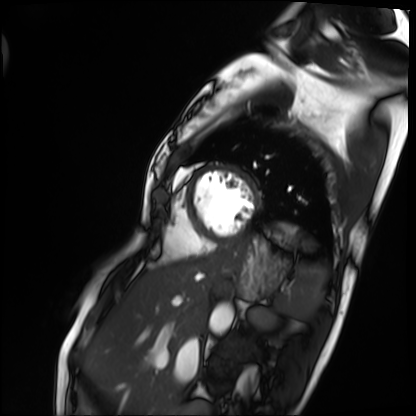
Summary: Cardiac MRI. Subject group: patient.